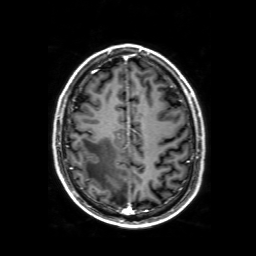
Case:
- modality — 3 Tesla brain MRI
- series — 3D T1-weighted with SENSE
- study — ring-enhancing brain masses